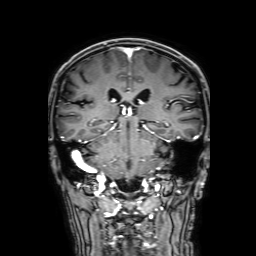
Summary:
3 Tesla brain MRI. Series: 3D T1-weighted with SENSE. Study: ring-enhancing brain masses.